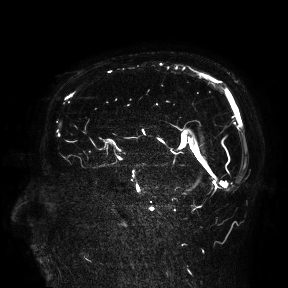
<study>
<modality>
  <type>brain MRI</type>
  <field_strength>3T</field_strength>
</modality>
<study_topic>ring-enhancing brain masses</study_topic>
</study>